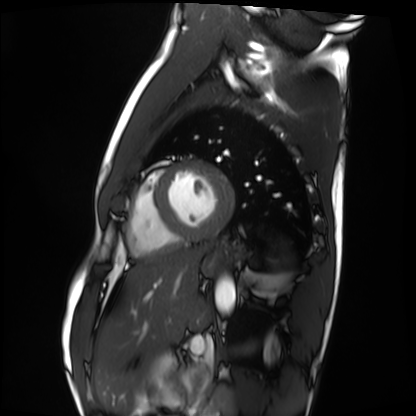
modality — cardiac MRI | subject group — healthy volunteer.